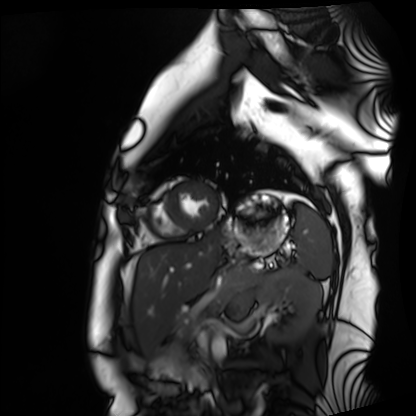
- modality: cardiac MRI
- subject group: healthy volunteer